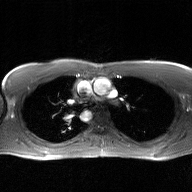
2D phase-contrast cine MRI of the ascending aorta, GAN super-resolution reconstruction.